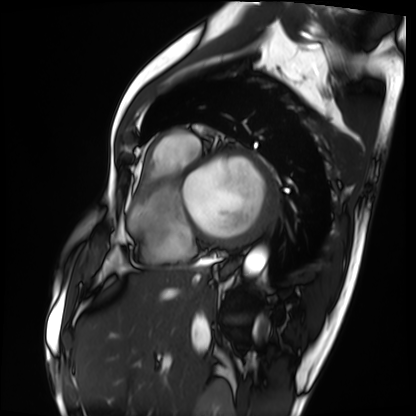
Summary:
Cardiac MRI. Subject group: patient.